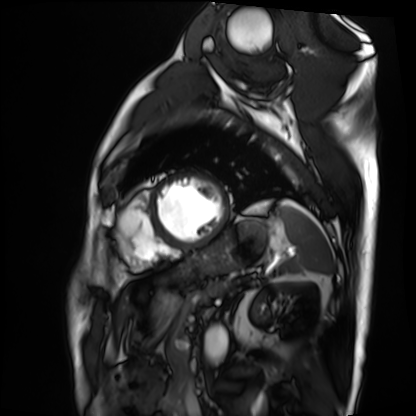
Cardiac MRI.
Subject group: patient.